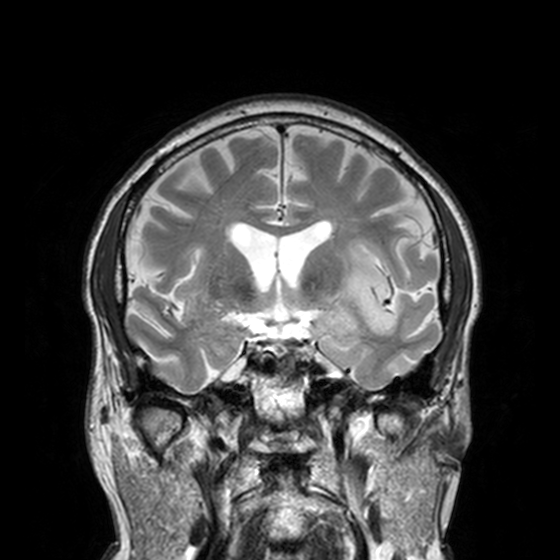
modality: 3 Tesla brain MRI
series: T2-weighted turbo spin echo, 3 mm
study: ring-enhancing brain masses